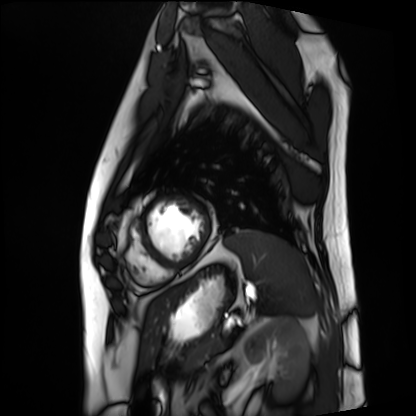
{"modality": "cardiac MRI", "cohort": "patient"}